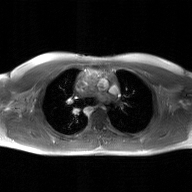
2D phase-contrast cine MRI of the ascending aorta, GAN super-resolution reconstruction.